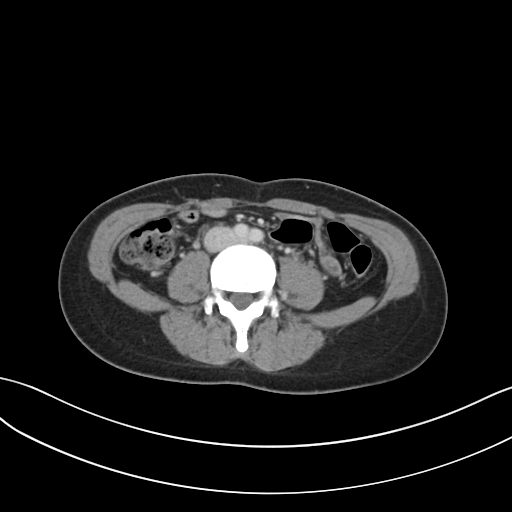
Multiphase abdominal CT, liver, portal venous phase. Patient: female, age 32. History: prior chemotherapy.